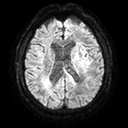
modality=3 Tesla brain MRI
series=diffusion tensor imaging (medium iso)
study=ring-enhancing brain masses